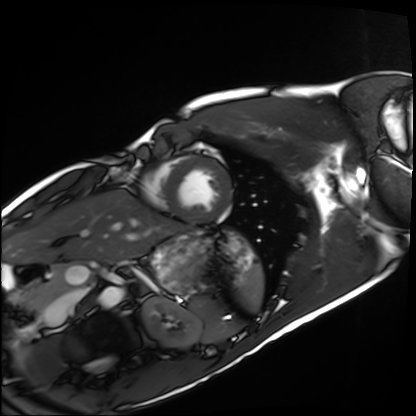
Cardiac MRI. Subject group: healthy volunteer.